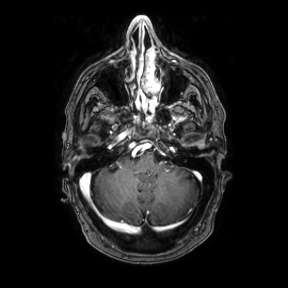
Summary:
3 Tesla brain MRI. Series: axial. Study: ring-enhancing brain masses.